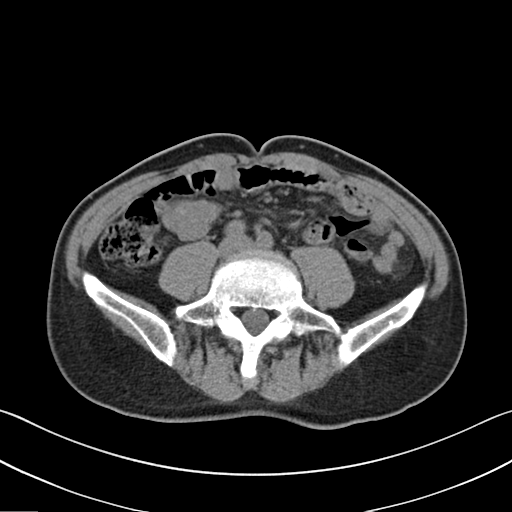
Summary: Multiphase abdominal CT, liver, non-contrast phase. Patient: male, age 67. History: prior chemotherapy.